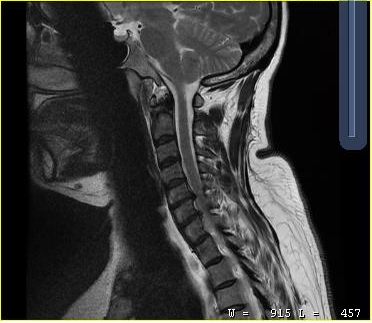
modality = MRI of the cervical spine | study = cervical spondylosis.